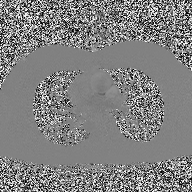
Q: What kind of scan is this?
A: 2D phase-contrast cine MRI of the ascending aorta.